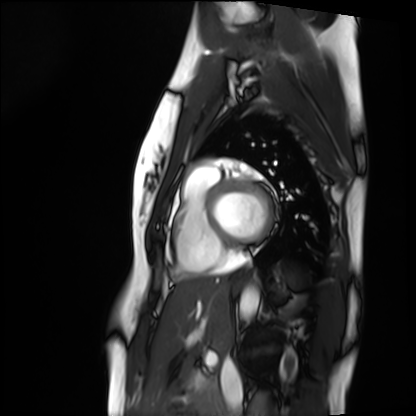
• modality · cardiac MRI
• subject group · healthy volunteer